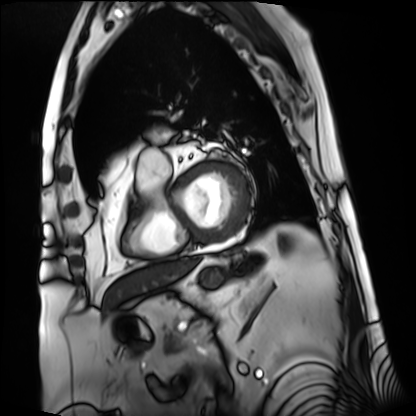
Cardiac MRI. Subject group: patient.